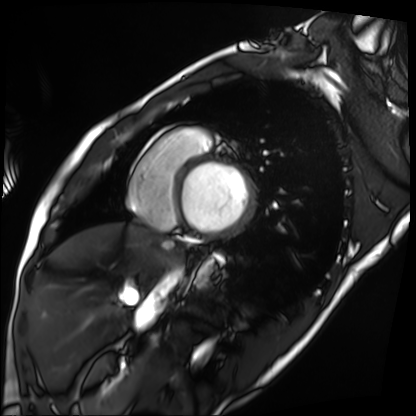
Cardiac MRI. Subject group: patient.